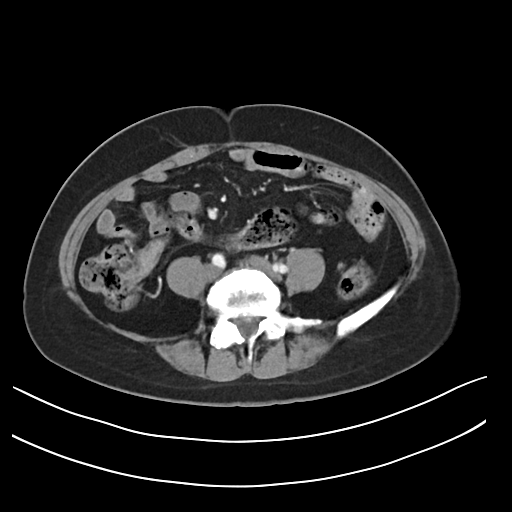
modality:
  type: multiphase abdominal CT
  region: liver
  phase: arterial
patient:
  sex: female
  age: 48
history:
  - prior chemotherapy